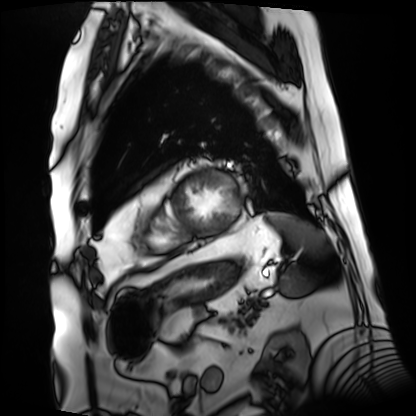
<case>
<modality>cardiac MRI</modality>
<cohort>patient</cohort>
</case>